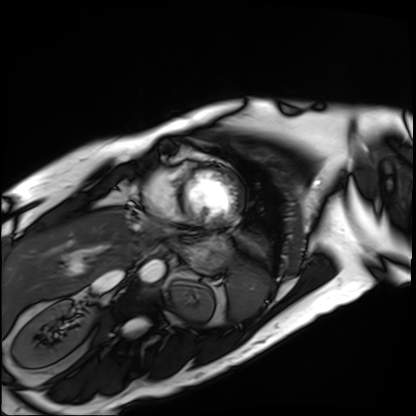
modality: cardiac MRI; subject group: patient.